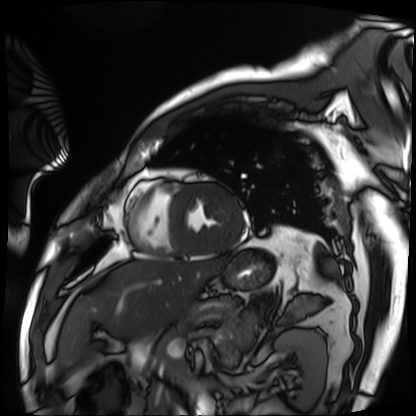
Q: What kind of scan is this?
A: Cardiac MRI.
Subject group: patient.